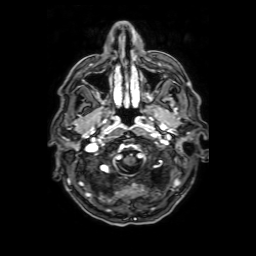
- modality: 3 Tesla brain MRI
- series: axial T1-weighted fusion image
- study: ring-enhancing brain masses